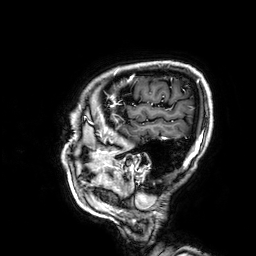
3 Tesla brain MRI. Series: 3D T1-weighted. Study: ring-enhancing brain masses.